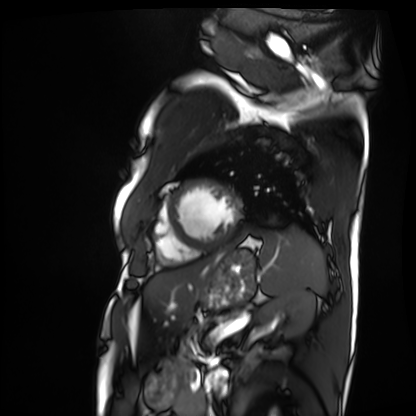
Cardiac MRI. Subject group: patient.